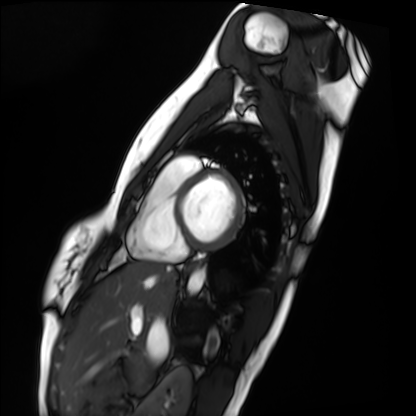
– modality · cardiac MRI
– subject group · healthy volunteer